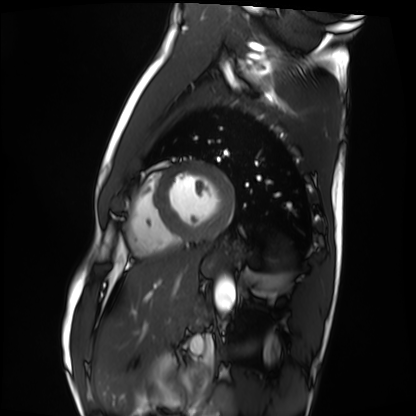
Cardiac MRI. Subject group: healthy volunteer.